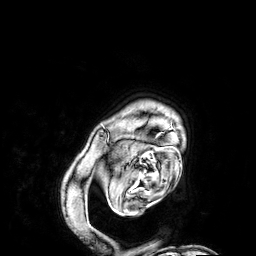
Q: What kind of scan is this?
A: 3 Tesla brain MRI.
Q: Series?
A: 3D T1-weighted.
Study: ring-enhancing brain masses.